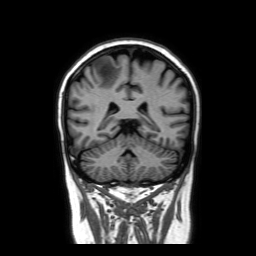
3 Tesla brain MRI. Series: coronal without contrast. Study: ring-enhancing brain masses.